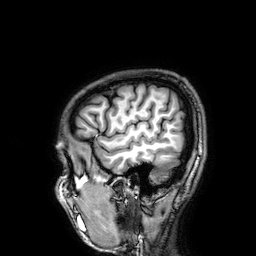
Summary: 3 Tesla brain MRI. Series: 3D T1-weighted. Study: ring-enhancing brain masses.